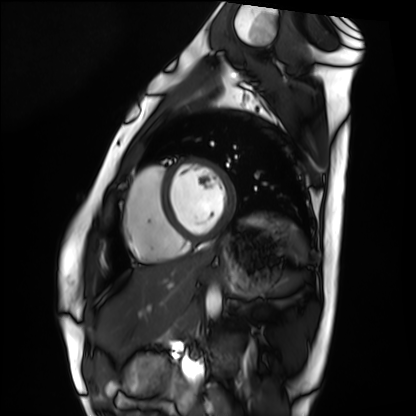
Q: What kind of scan is this?
A: Cardiac MRI.
Subject group: healthy volunteer.